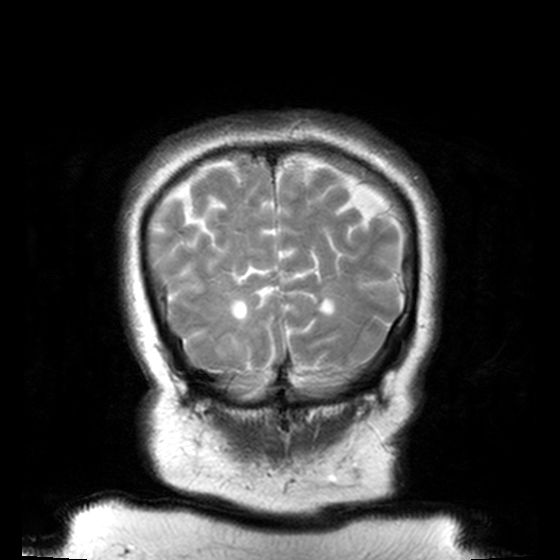
modality — 3 Tesla brain MRI | series — T2-weighted turbo spin echo, 3 mm | study — ring-enhancing brain masses.